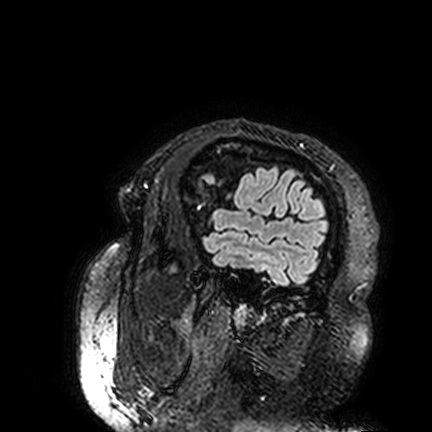
modality = 3 Tesla brain MRI; series = FLAIR VISTA; study = ring-enhancing brain masses.